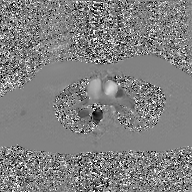
Q: What kind of scan is this?
A: 2D phase-contrast cine MRI of the ascending aorta, GAN super-resolution reconstruction.